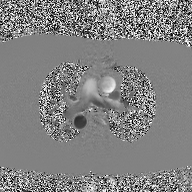
Case summary: 2D phase-contrast cine MRI of the ascending aorta, high-resolution GRAPPA acquisition.